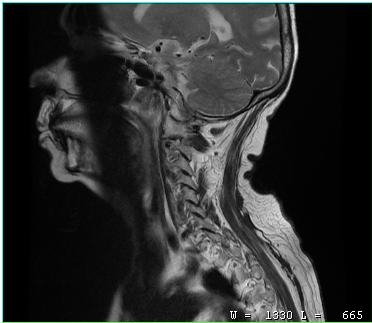
Summary: MRI of the cervical spine. Study: cervical spondylosis.